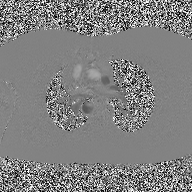
Summary:
2D phase-contrast cine MRI of the ascending aorta, high-resolution GRAPPA acquisition.